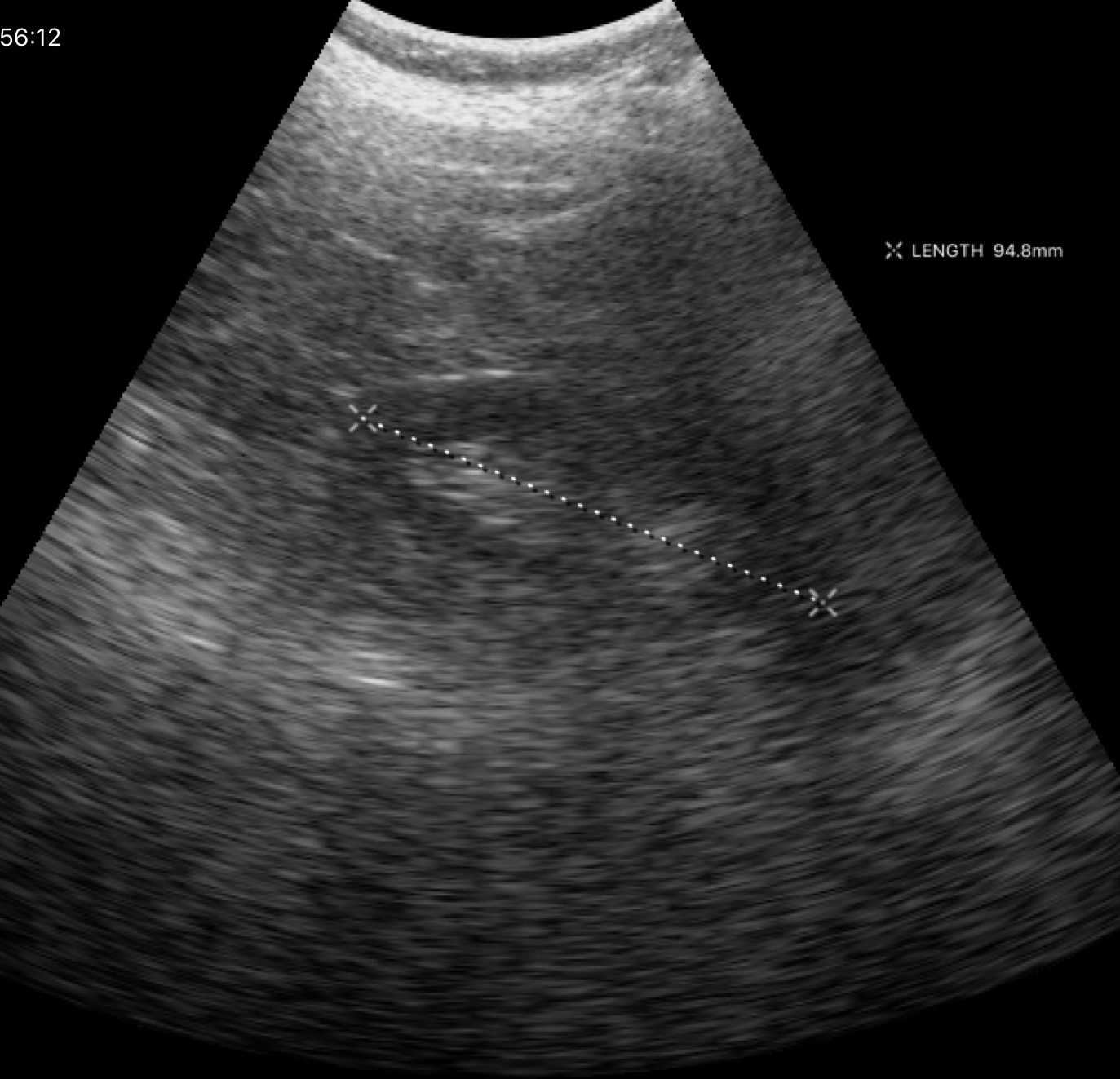
Summary:
Genitourinary ultrasound.